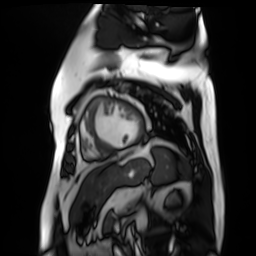
Cardiac MR image of the myocardium. Subject cohort: cardiac patient.